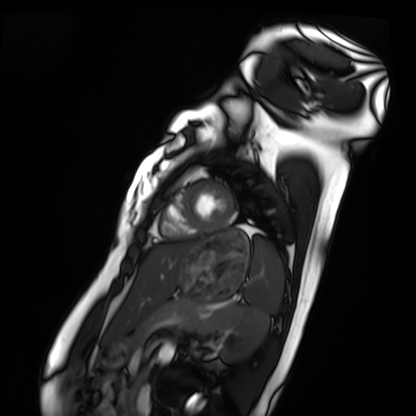
modality: cardiac MRI, subject group: healthy volunteer.